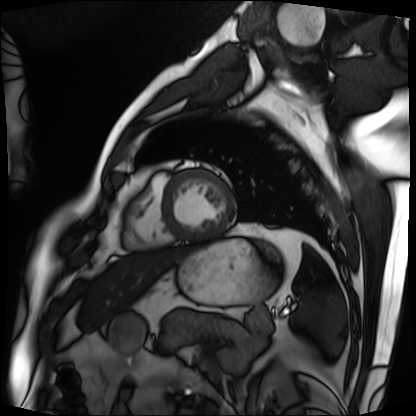
Cardiac MRI. Subject group: patient.